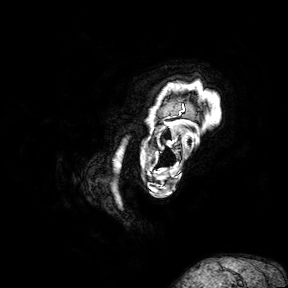
modality — 3 Tesla brain MRI | series — 3D T1-weighted turbo field echo with SENSE | study — ring-enhancing brain masses.